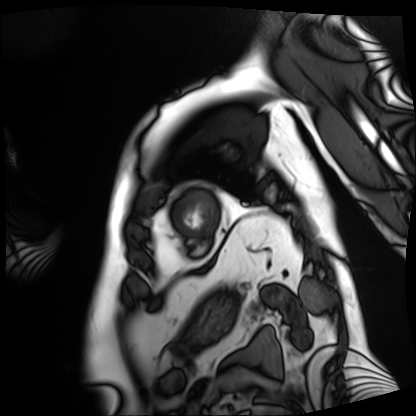
• modality — cardiac MRI
• subject group — patient